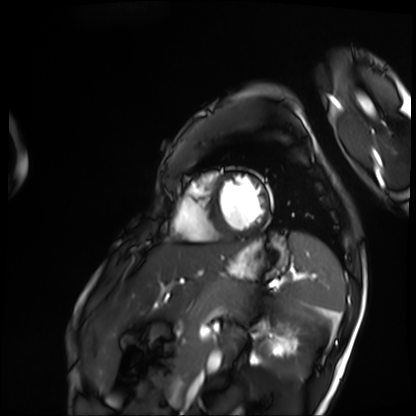
Case:
• modality — cardiac MRI
• subject group — patient